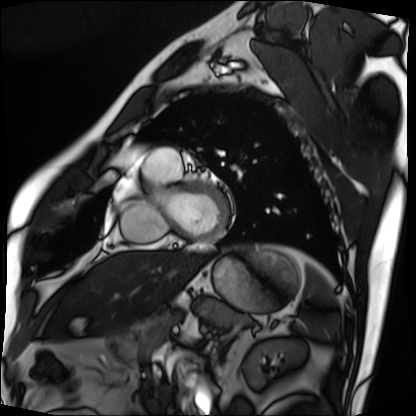
Cardiac MRI.
Subject group: patient.